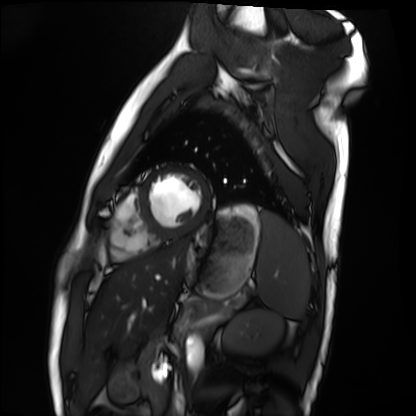
Summary: Cardiac MRI. Subject group: healthy volunteer.